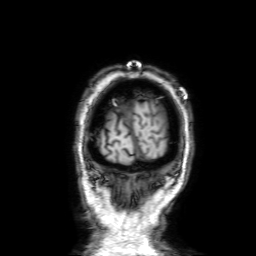
- modality — 3 Tesla brain MRI
- series — 3D T1-weighted with SENSE
- study — ring-enhancing brain masses